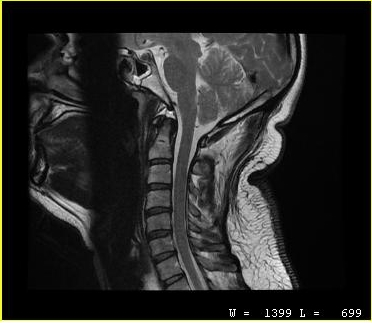
  modality:
    type: cervical spine MRI
  study_topic: cervical spondylosis